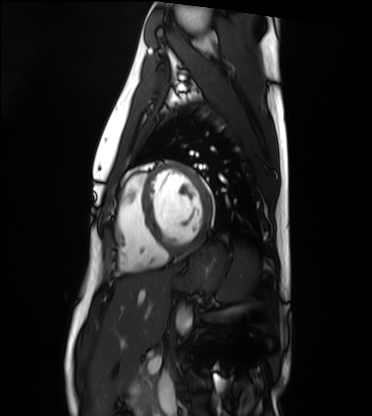
- modality: cardiac MRI
- subject group: healthy volunteer